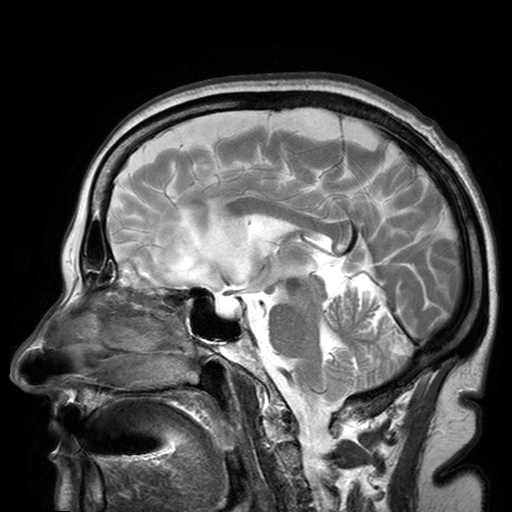
3 Tesla brain MRI.
Series: T2-weighted turbo spin echo with SENSE.
Study: ring-enhancing brain masses.